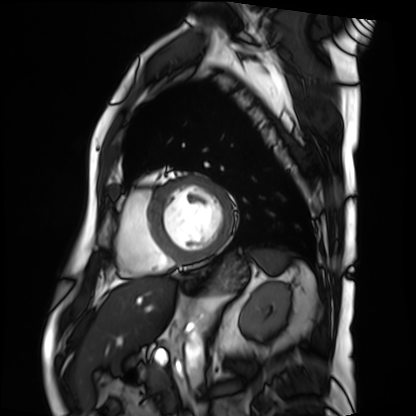
  modality: cardiac MRI
  cohort: patient